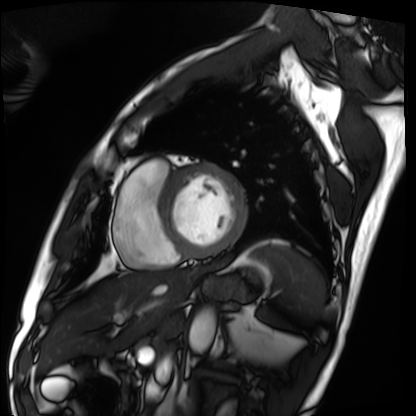
Q: What kind of scan is this?
A: Cardiac MRI.
Subject group: patient.